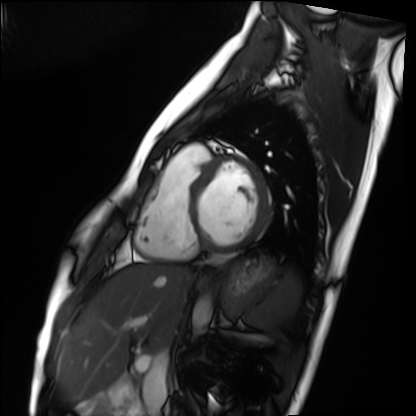
modality=cardiac MRI | subject group=healthy volunteer.